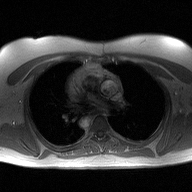
{"modality": {"type": "2D phase-contrast cine MRI", "region": "ascending aorta", "reconstruction": "high-resolution GRAPPA acquisition"}}